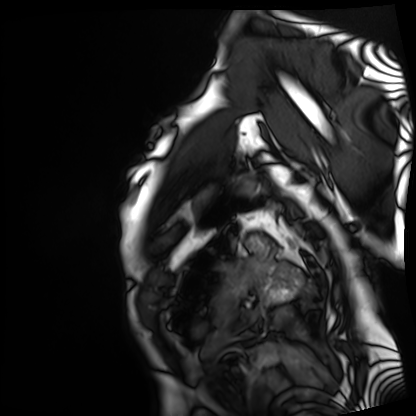
Cardiac MRI.
Subject group: patient.